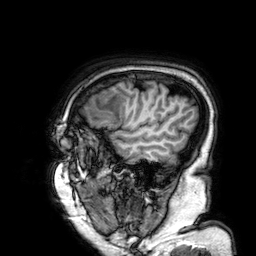
modality=3 Tesla brain MRI
series=3D T1-weighted
study=ring-enhancing brain masses